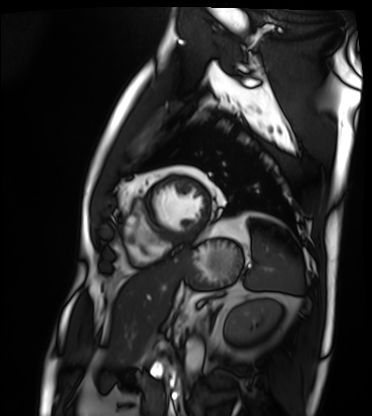
Cardiac MRI. Subject group: patient.